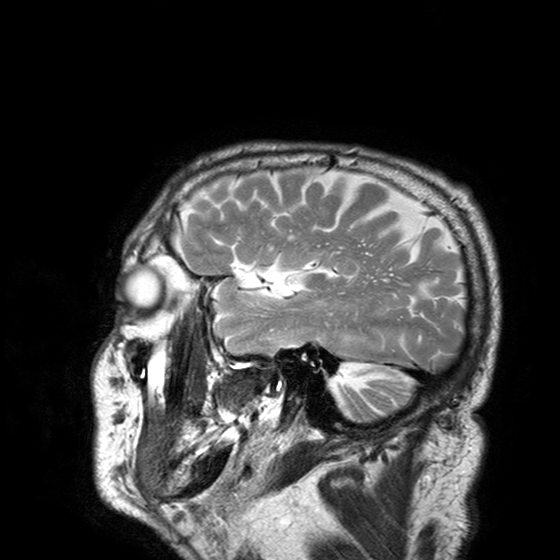
Q: What kind of scan is this?
A: 3 Tesla brain MRI.
Q: Series?
A: T2-weighted turbo spin echo with SENSE.
Study: ring-enhancing brain masses.